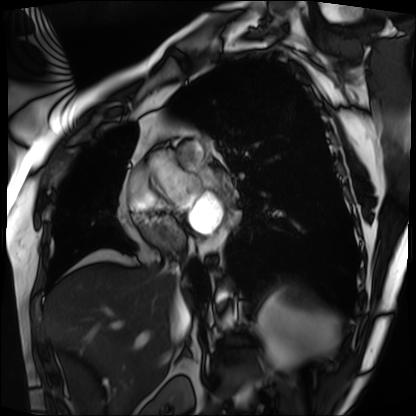
Cardiac MRI.
Subject group: patient.